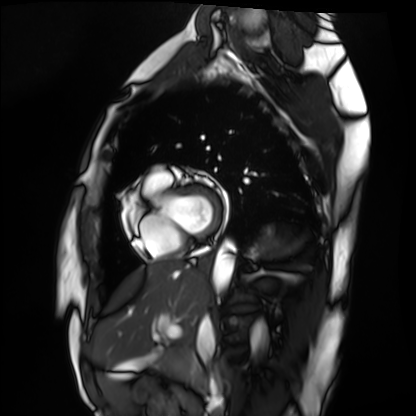
{"modality": "cardiac MRI", "cohort": "healthy volunteer"}